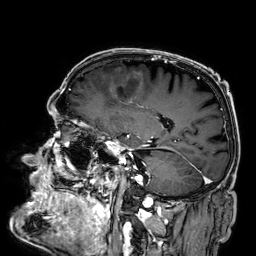
<case>
  <modality>
    <type>brain MRI</type>
    <field_strength>3T</field_strength>
  </modality>
  <series>3D T1-weighted</series>
  <study_topic>ring-enhancing brain masses</study_topic>
</case>